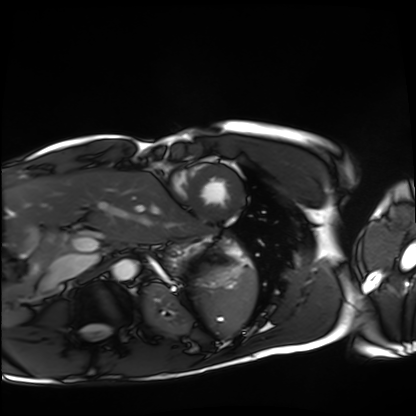
Case:
• modality · cardiac MRI
• subject group · healthy volunteer